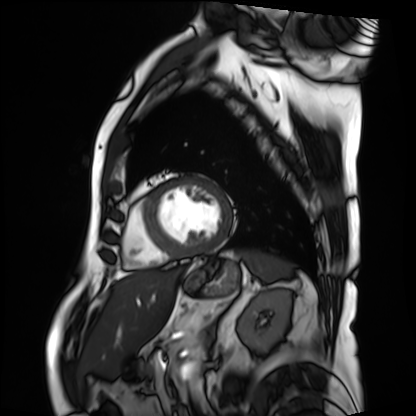
Cardiac MRI. Subject group: patient.